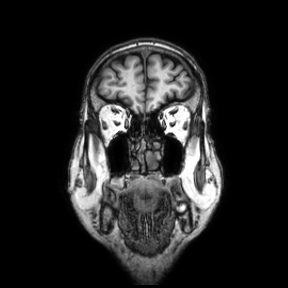
Case summary:
3 Tesla brain MRI. Series: coronal. Study: ring-enhancing brain masses.